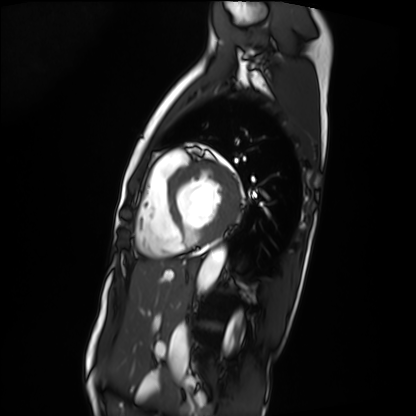
- modality: cardiac MRI
- subject group: patient